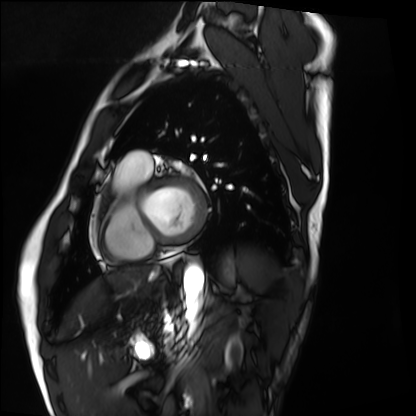
Cardiac MRI. Subject group: healthy volunteer.